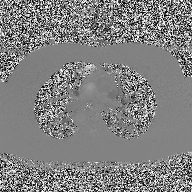
2D phase-contrast cine MRI of the ascending aorta, high-resolution GRAPPA acquisition.